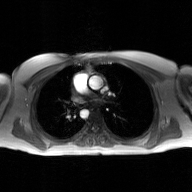
Case summary: 2D phase-contrast cine MRI of the ascending aorta, GAN super-resolution reconstruction.